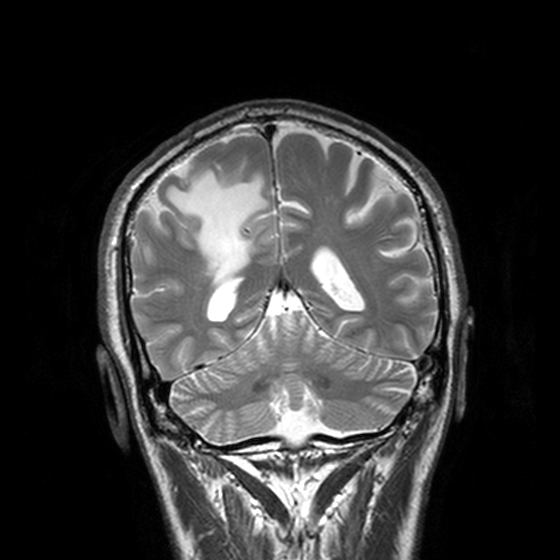
{
  "modality": {
    "type": "brain MRI",
    "field_strength": "3T"
  },
  "series": "T2-weighted turbo spin echo, 3 mm",
  "study_topic": "ring-enhancing brain masses"
}